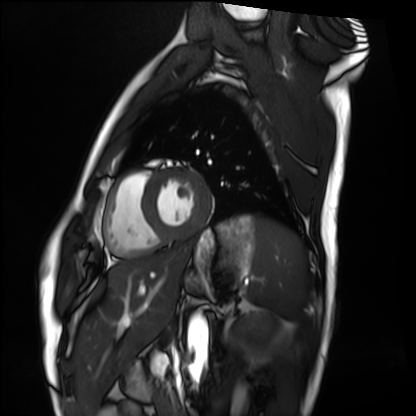
Cardiac MRI. Subject group: healthy volunteer.